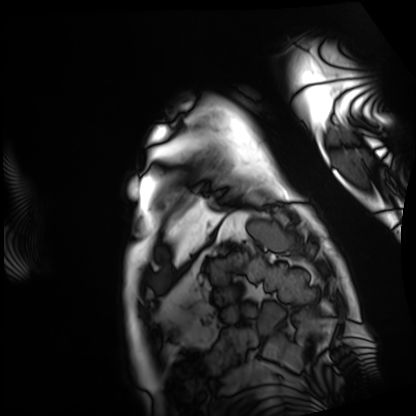
• modality · cardiac MRI
• subject group · patient